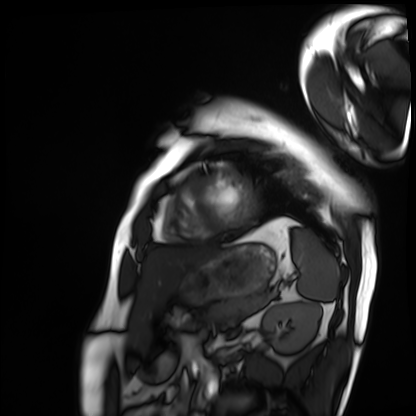
Summary:
Cardiac MRI. Subject group: patient.